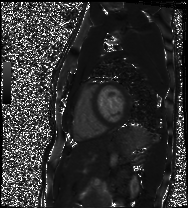
Q: What kind of scan is this?
A: Cardiac MRI.
Subject group: healthy volunteer.